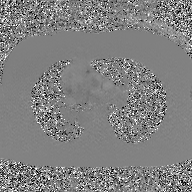
modality — 2D phase-contrast cine MRI of the ascending aorta, GAN super-resolution reconstruction.